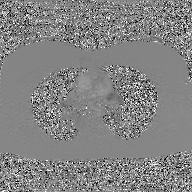
  modality:
    type: 2D phase-contrast cine MRI
    region: ascending aorta
    reconstruction: GAN super-resolution reconstruction